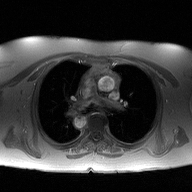
modality:
  type: 2D phase-contrast cine MRI
  region: ascending aorta
  reconstruction: high-resolution GRAPPA acquisition